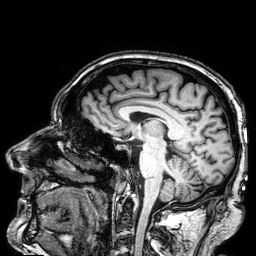
3 Tesla brain MRI. Series: 3D T1-weighted. Study: ring-enhancing brain masses.